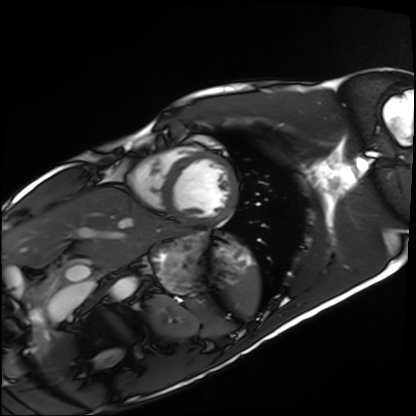
Cardiac MRI.
Subject group: healthy volunteer.